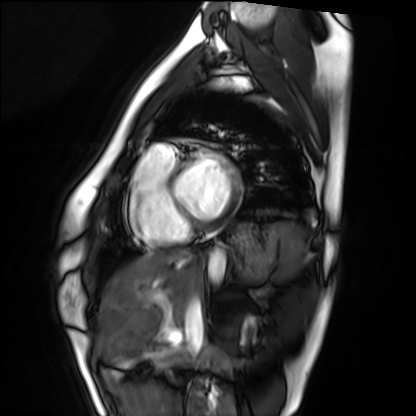
Case summary: Cardiac MRI. Subject group: healthy volunteer.